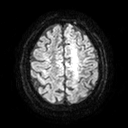
Summary:
3 Tesla brain MRI. Series: diffusion tensor imaging (medium iso). Study: ring-enhancing brain masses.